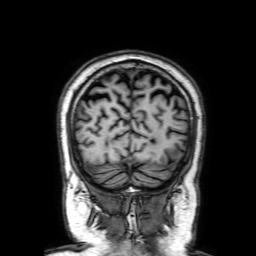
Clinical context: 3 Tesla brain MRI. Series: 3D T1-weighted with SENSE. Study: ring-enhancing brain masses.